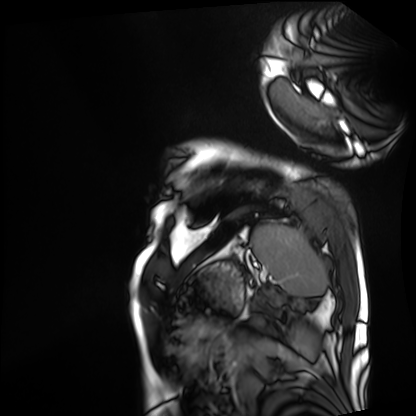
| field | value |
|---|---|
| modality | cardiac MRI |
| subject group | patient |